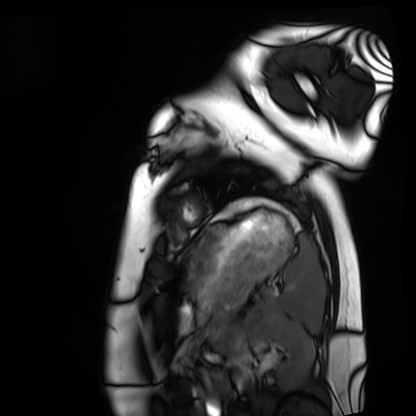
Summary:
Cardiac MRI. Subject group: healthy volunteer.